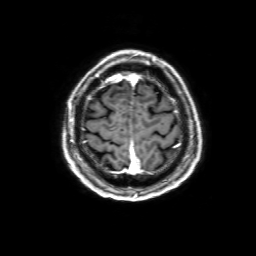
3 Tesla brain MRI. Series: 3D T1-weighted with SENSE. Study: ring-enhancing brain masses.